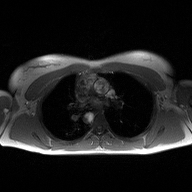
Q: What kind of scan is this?
A: 2D phase-contrast cine MRI of the ascending aorta.